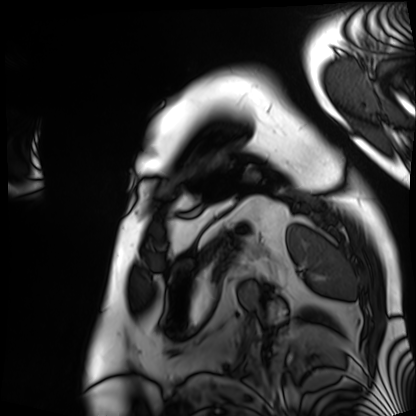
Cardiac MRI. Subject group: patient.